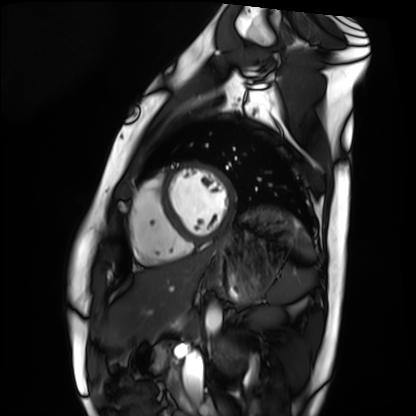
Q: What kind of scan is this?
A: Cardiac MRI.
Subject group: healthy volunteer.